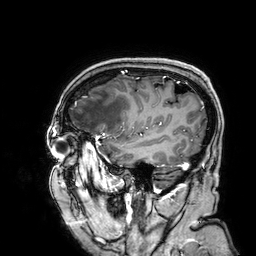
Q: What kind of scan is this?
A: 3 Tesla brain MRI.
Q: Series?
A: 3D T1-weighted.
Study: ring-enhancing brain masses.